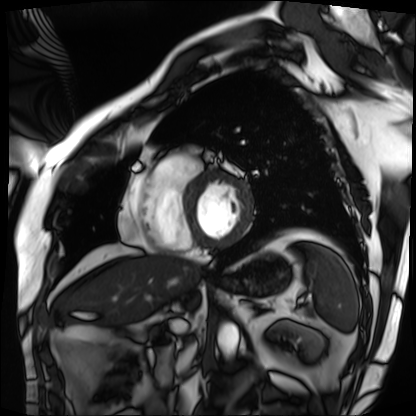
Cardiac MRI. Subject group: patient.